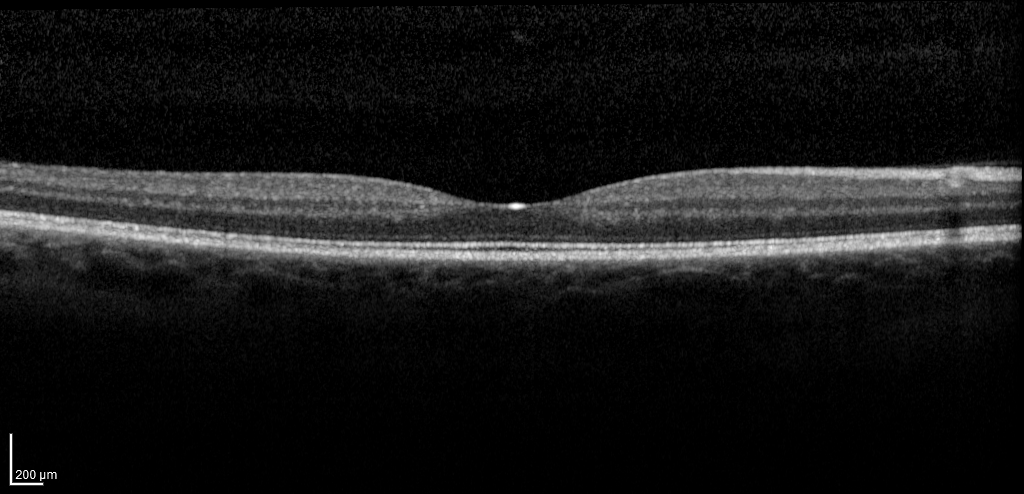
Q: What kind of scan is this?
A: Spectral-domain optical coherence tomography (SD-OCT) of the macula.
Q: Subject?
A: Female, age 42, right eye.
Cohort: non-diabetic control.
Q: ETDRS-grid retinal thickness (μm)?
A: Central 247, inner temporal 311, inner nasal 328, inner superior 327, inner inferior 322, outer temporal 268, outer nasal 297, outer superior 294, outer inferior 283.